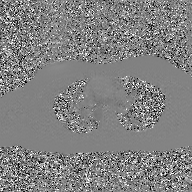
2D phase-contrast cine MRI of the ascending aorta, GAN super-resolution reconstruction.